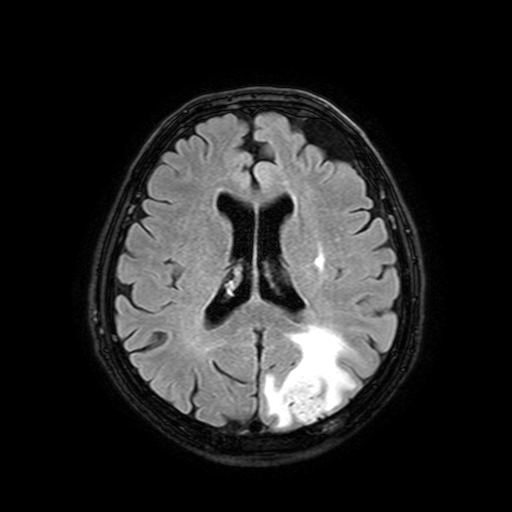
modality = 3 Tesla brain MRI | series = FLAIR with SPAIR, 3 mm | study = ring-enhancing brain masses.